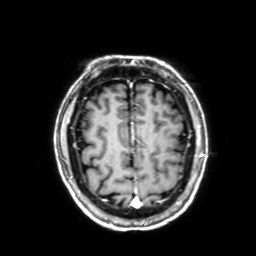
modality: 3 Tesla brain MRI; series: 3D T1-weighted with SENSE; study: ring-enhancing brain masses.